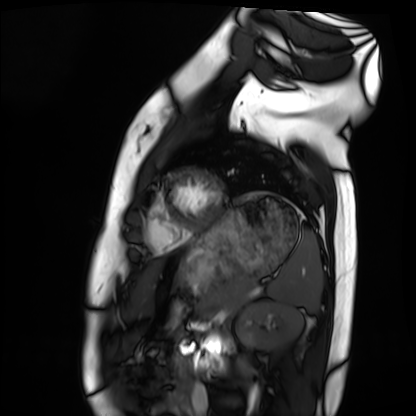
Summary: Cardiac MRI. Subject group: healthy volunteer.